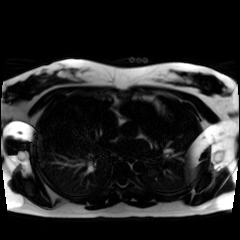
Chemical-shift-encoded cardiac MRI.